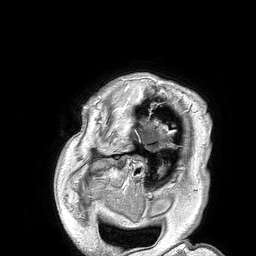
Summary:
3 Tesla brain MRI. Series: 3D T1-weighted turbo field echo. Study: ring-enhancing brain masses.